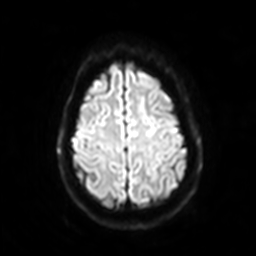
| field | value |
|---|---|
| modality | 3 Tesla brain MRI |
| series | diffusion-weighted imaging with SENSE (WIP) |
| study | ring-enhancing brain masses |